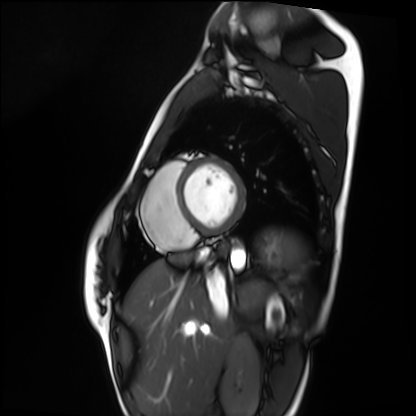
| field | value |
|---|---|
| modality | cardiac MRI |
| subject group | healthy volunteer |